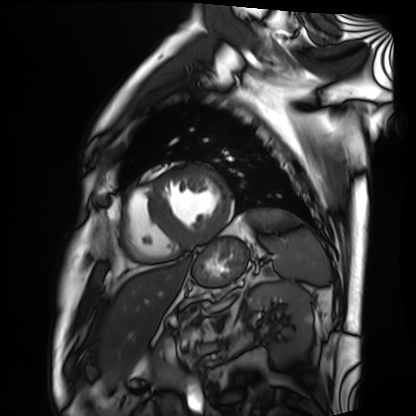
modality = cardiac MRI, subject group = patient.